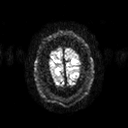
| field | value |
|---|---|
| modality | 3 Tesla brain MRI |
| series | diffusion tensor imaging (medium iso) |
| study | ring-enhancing brain masses |